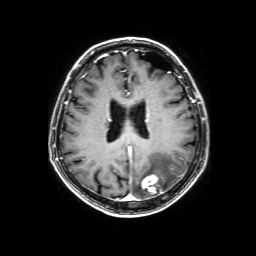
{"modality": {"type": "brain MRI", "field_strength": "3T"}, "series": "3D T1-weighted with SENSE", "study_topic": "ring-enhancing brain masses"}